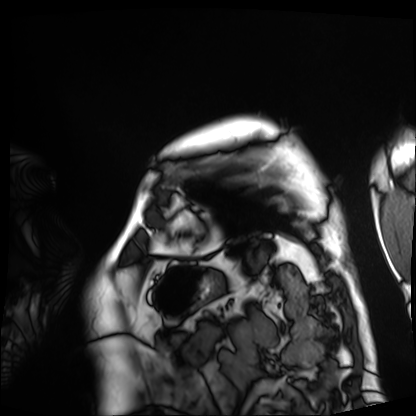
modality = cardiac MRI, subject group = patient.